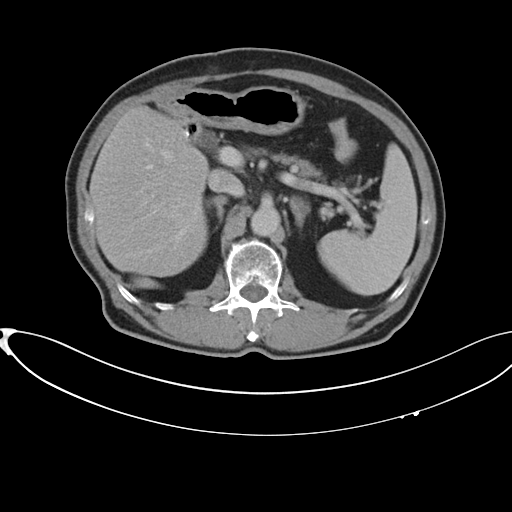
modality — multiphase abdominal CT, liver, delayed phase
patient — male, age 75
history — cirrhosis, viral hepatitis